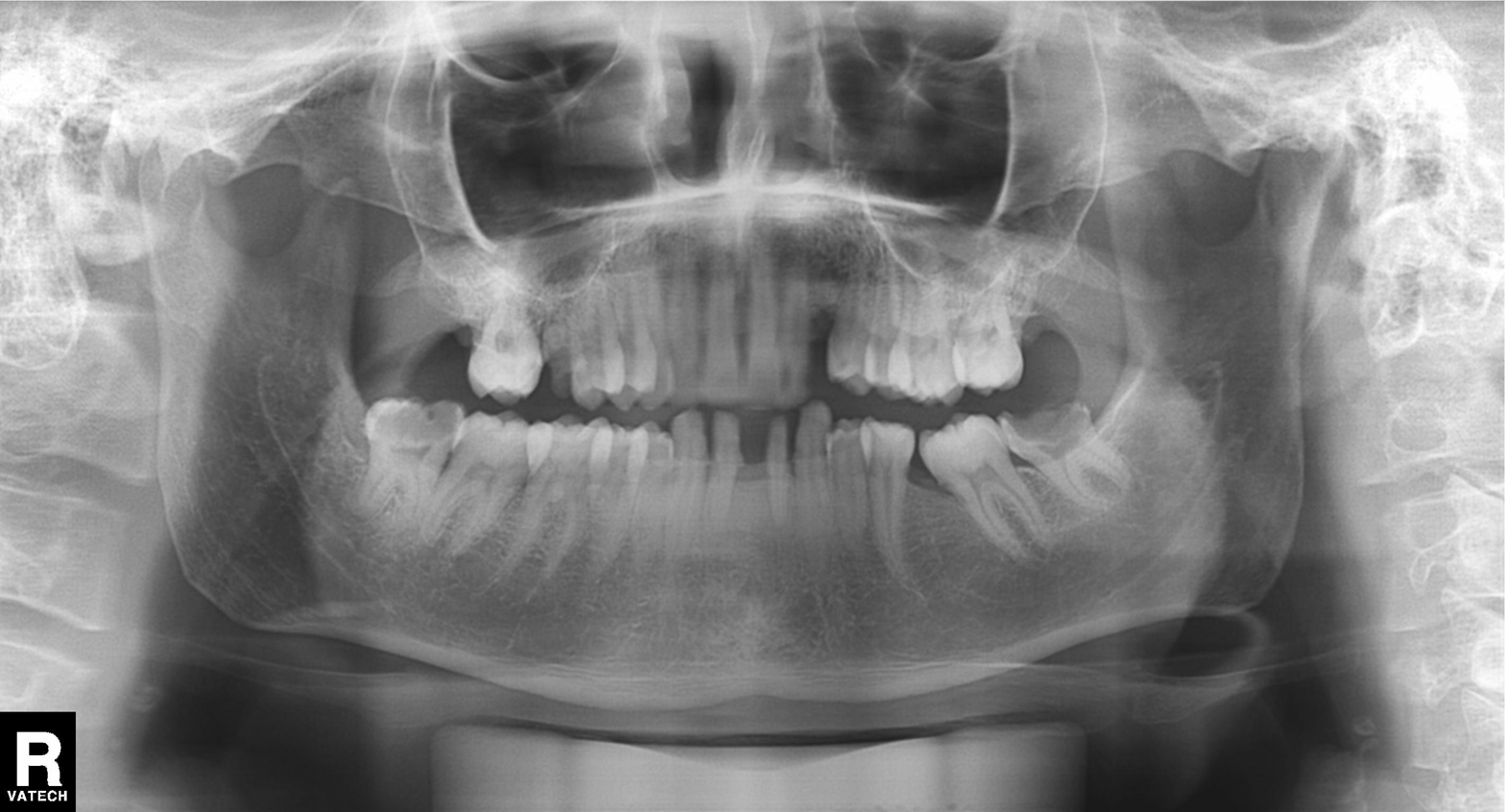
Summary: Panoramic dental radiograph (orthopantomogram).
Impression: Alveolar bone loss.